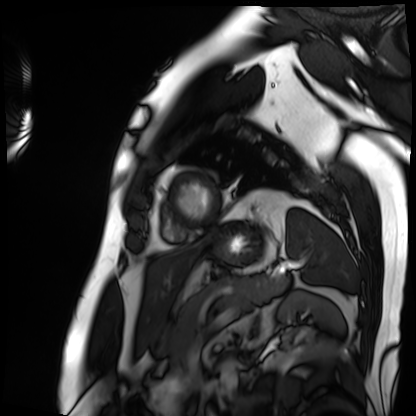
Case summary:
Cardiac MRI. Subject group: patient.